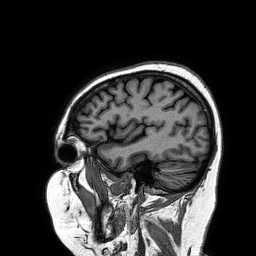
modality=3 Tesla brain MRI | series=3D T1-weighted turbo field echo | study=ring-enhancing brain masses.